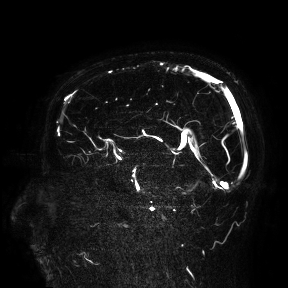
3 Tesla brain MRI.
Study: ring-enhancing brain masses.